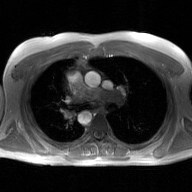
{"modality": {"type": "2D phase-contrast cine MRI", "region": "ascending aorta", "reconstruction": "GAN super-resolution reconstruction"}}